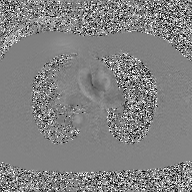
modality=2D phase-contrast cine MRI of the ascending aorta, GAN super-resolution reconstruction.